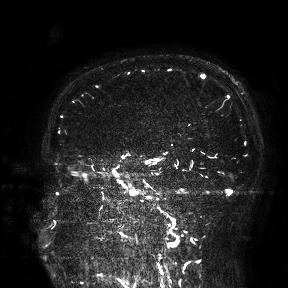
Case summary:
3 Tesla brain MRI. Study: ring-enhancing brain masses.